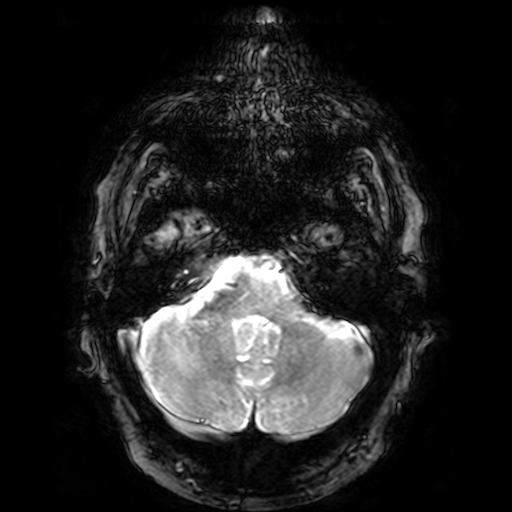
3 Tesla brain MRI. Series: T2-weighted fast field echo. Study: ring-enhancing brain masses.